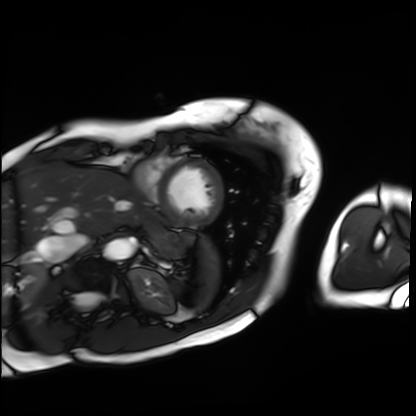
Case summary: Cardiac MRI. Subject group: patient.